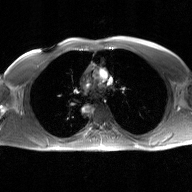
2D phase-contrast cine MRI of the ascending aorta, GAN super-resolution reconstruction.